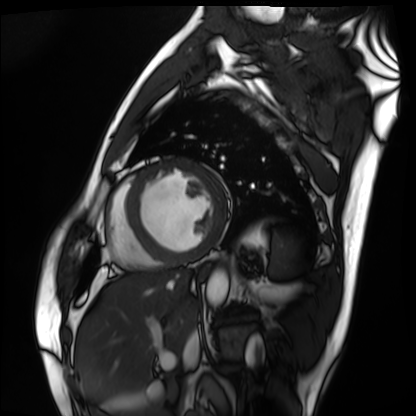
modality=cardiac MRI
subject group=patient